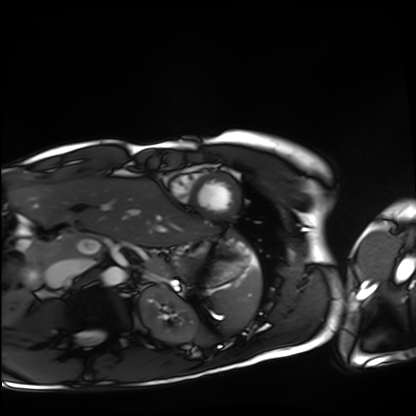
Cardiac MRI.
Subject group: healthy volunteer.